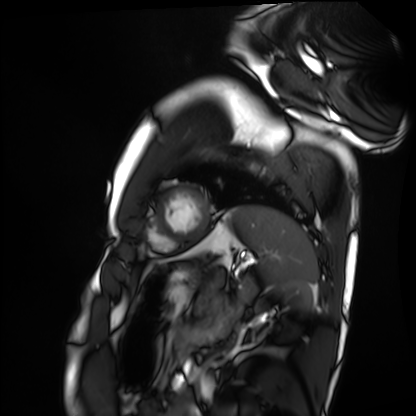
Cardiac MRI. Subject group: healthy volunteer.